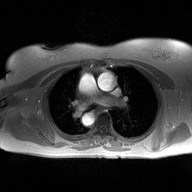
2D phase-contrast cine MRI of the ascending aorta, high-resolution GRAPPA acquisition.